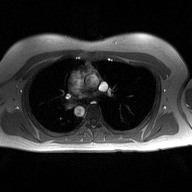
Case summary:
2D phase-contrast cine MRI of the ascending aorta, high-resolution GRAPPA acquisition.